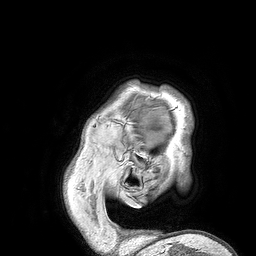
3 Tesla brain MRI. Study: ring-enhancing brain masses.